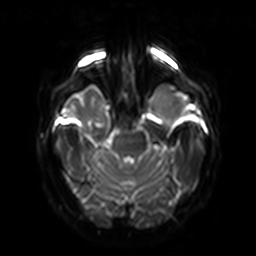
3 Tesla brain MRI. Series: diffusion-weighted imaging with SENSE (WIP). Study: ring-enhancing brain masses.